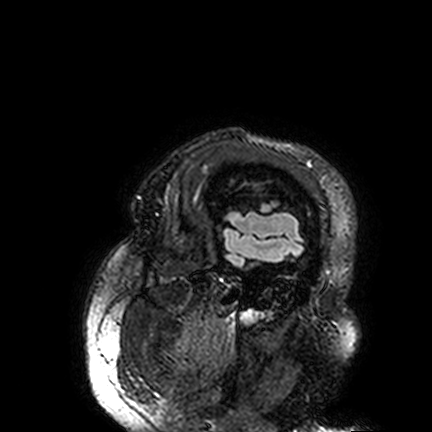
3 Tesla brain MRI. Series: FLAIR VISTA. Study: ring-enhancing brain masses.